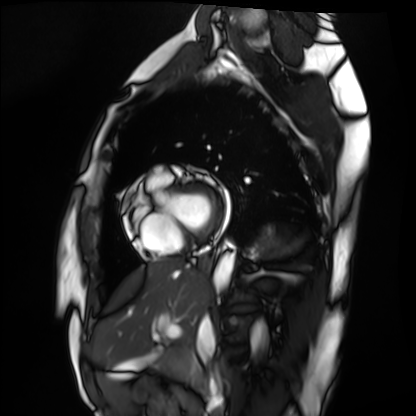
<record>
<modality>cardiac MRI</modality>
<cohort>healthy volunteer</cohort>
</record>